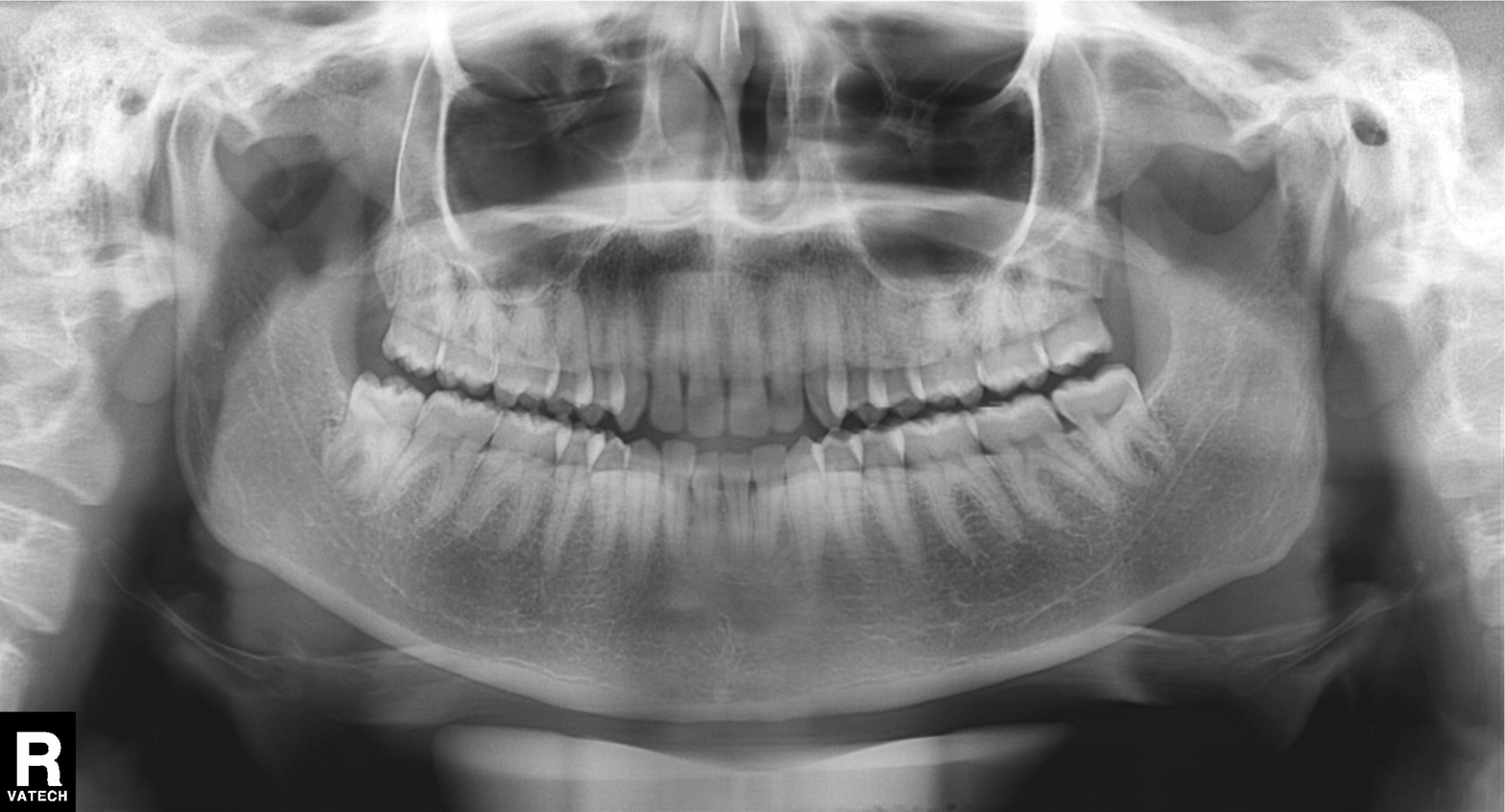
Q: What kind of scan is this?
A: Panoramic dental radiograph (orthopantomogram).
Q: What is the radiographic finding?
A: Dental caries (cavities).